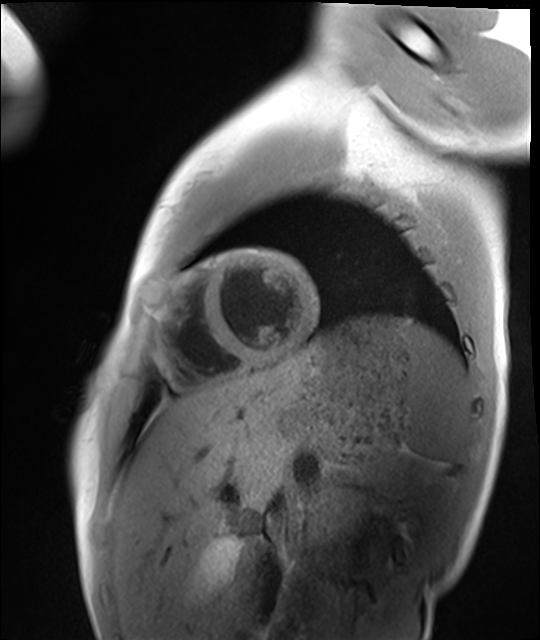
modality = cardiac MRI | subject group = healthy volunteer.